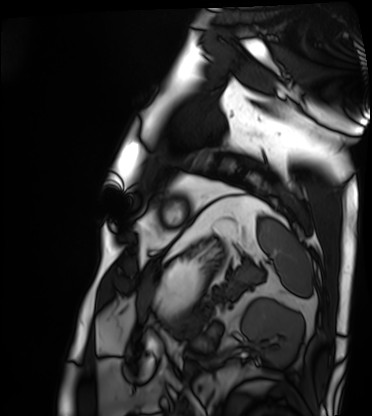
Cardiac MRI. Subject group: patient.